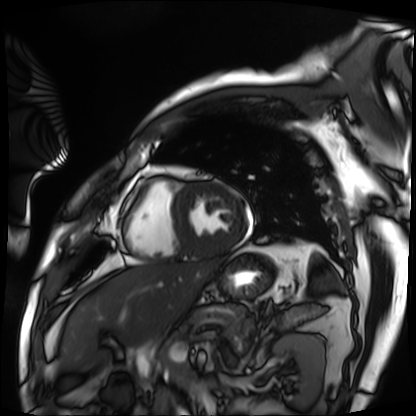
Cardiac MRI.
Subject group: patient.